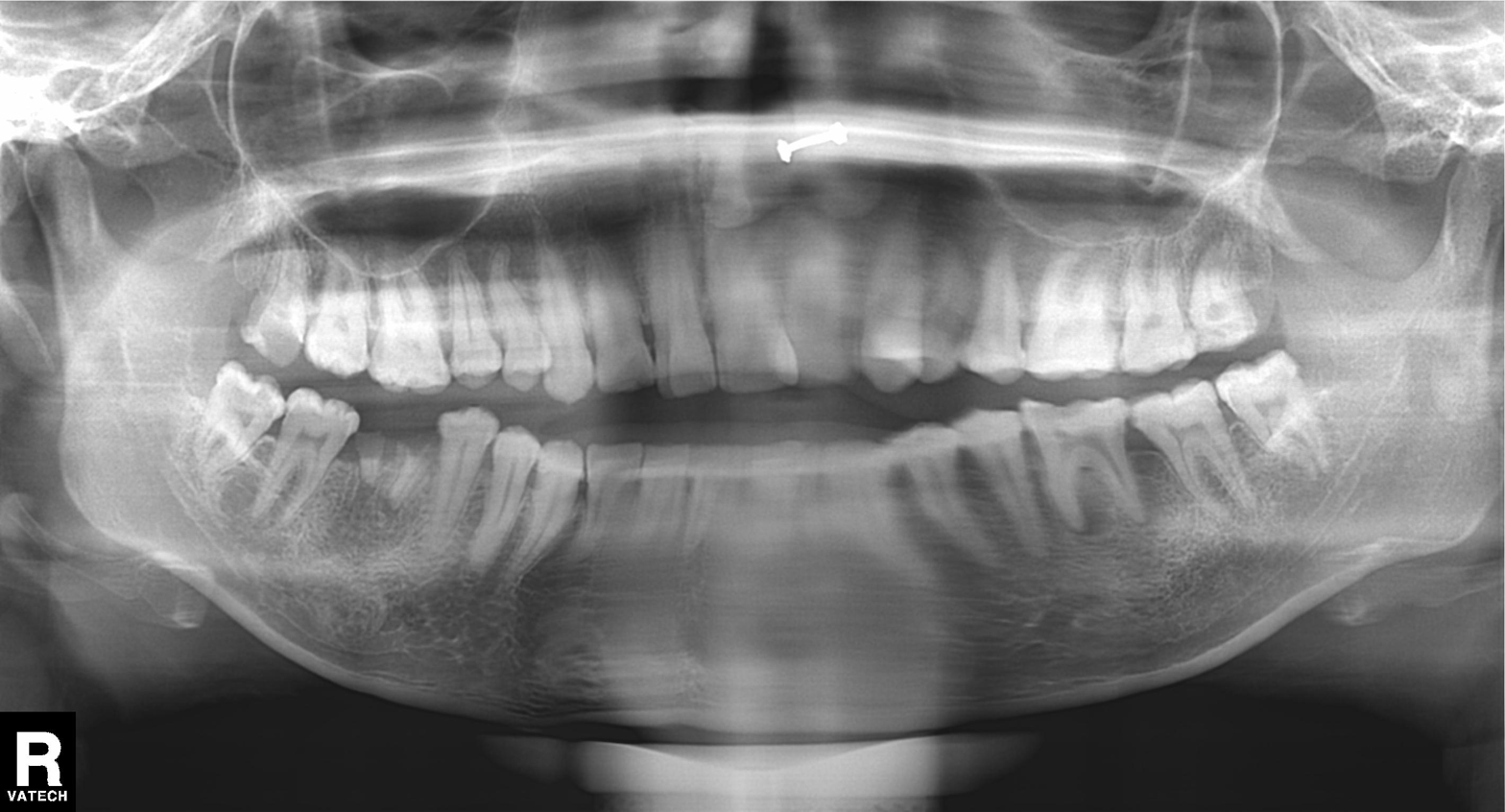
Panoramic dental radiograph (orthopantomogram).
Finding: alveolar bone loss.